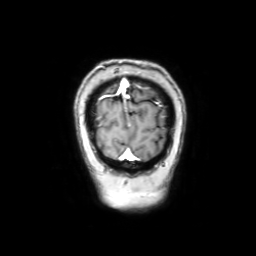
Q: What kind of scan is this?
A: 3 Tesla brain MRI.
Q: Series?
A: Coronal with contrast.
Study: ring-enhancing brain masses.